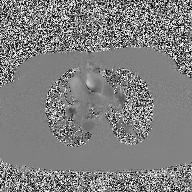
modality: 2D phase-contrast cine MRI of the ascending aorta.